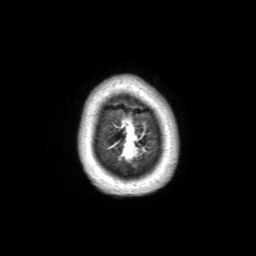
modality: 3 Tesla brain MRI
study: ring-enhancing brain masses